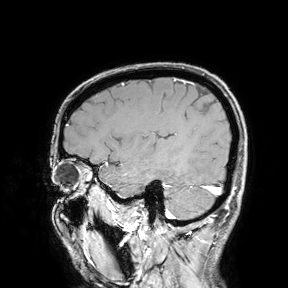
Q: What kind of scan is this?
A: 3 Tesla brain MRI.
Study: ring-enhancing brain masses.